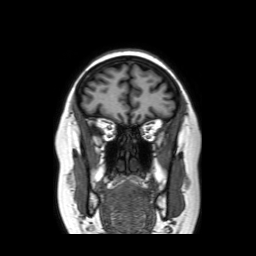
3 Tesla brain MRI. Series: coronal without contrast. Study: ring-enhancing brain masses.